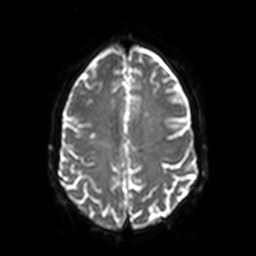
3 Tesla brain MRI.
Series: diffusion-weighted imaging.
Study: ring-enhancing brain masses.